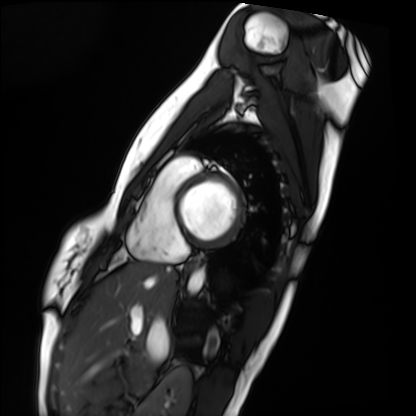
Q: What kind of scan is this?
A: Cardiac MRI.
Subject group: healthy volunteer.